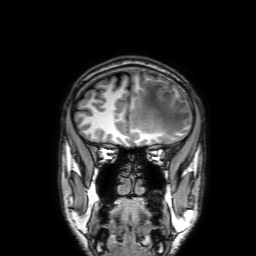
3 Tesla brain MRI.
Series: 3D T1-weighted with SENSE.
Study: ring-enhancing brain masses.